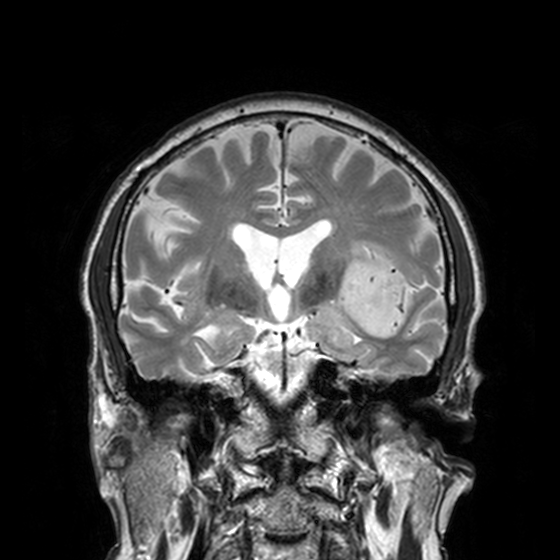
3 Tesla brain MRI. Series: T2-weighted turbo spin echo, 3 mm. Study: ring-enhancing brain masses.